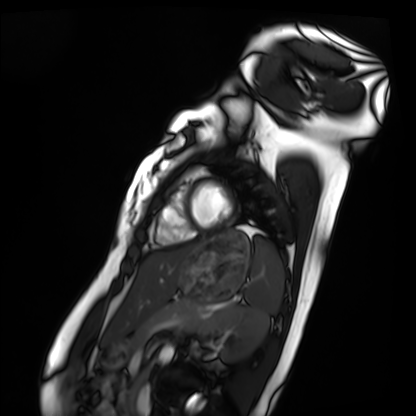
modality — cardiac MRI
subject group — healthy volunteer